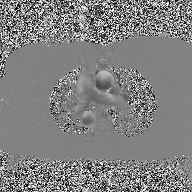
2D phase-contrast cine MRI of the ascending aorta, high-resolution GRAPPA acquisition.